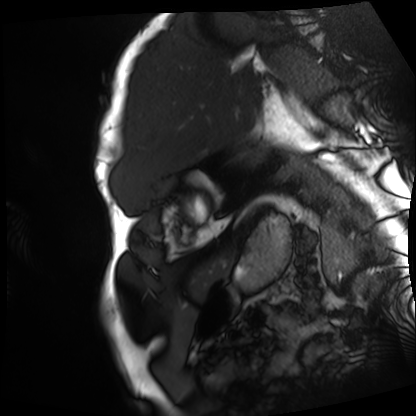
Cardiac MRI. Subject group: patient.